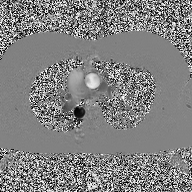
| field | value |
|---|---|
| modality | 2D phase-contrast cine MRI of the ascending aorta |